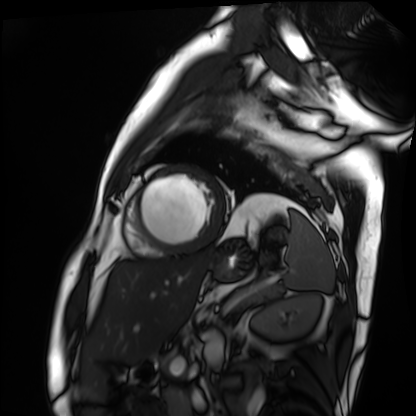
Cardiac MRI.
Subject group: patient.